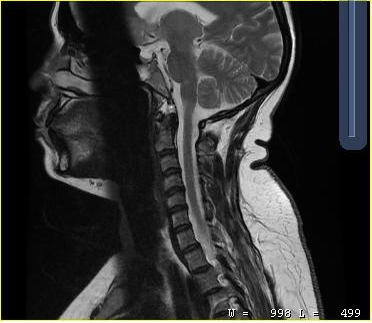
Summary: MRI of the cervical spine. Study: cervical spondylosis.